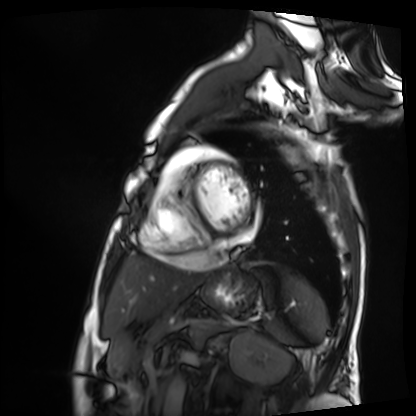
Cardiac MRI. Subject group: patient.